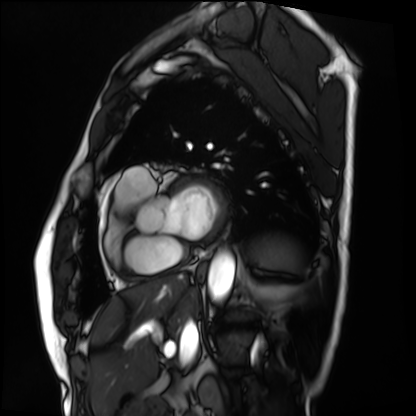
Q: What kind of scan is this?
A: Cardiac MRI.
Subject group: patient.